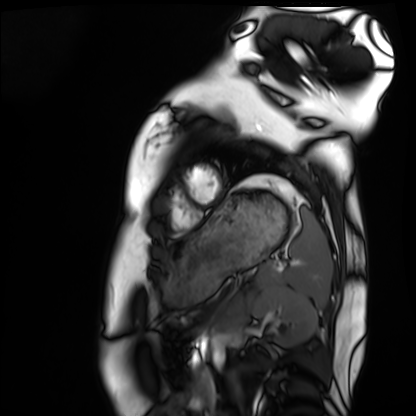
Cardiac MRI. Subject group: healthy volunteer.